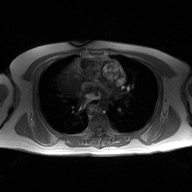
2D phase-contrast cine MRI of the ascending aorta, high-resolution GRAPPA acquisition.